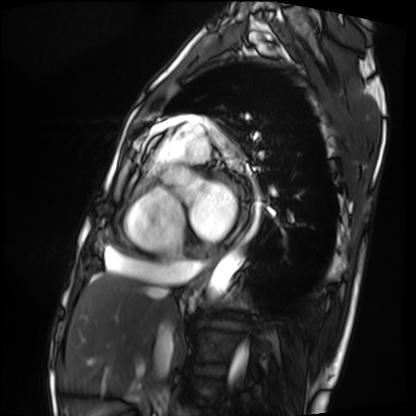
Summary: Cardiac MRI. Subject group: patient.